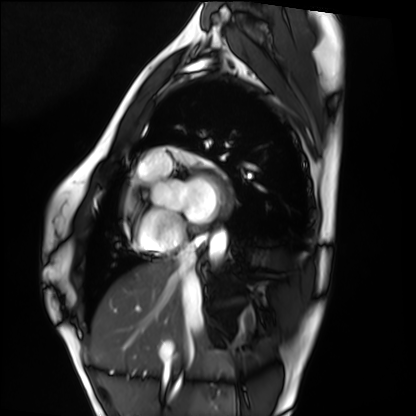
Cardiac MRI.
Subject group: healthy volunteer.